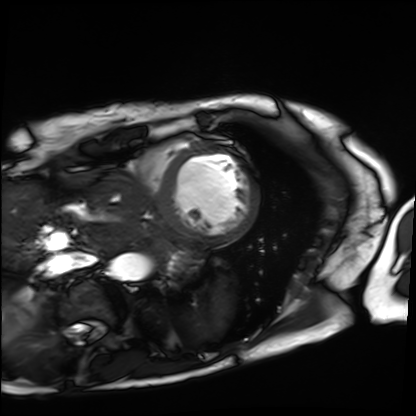
Cardiac MRI.
Subject group: patient.